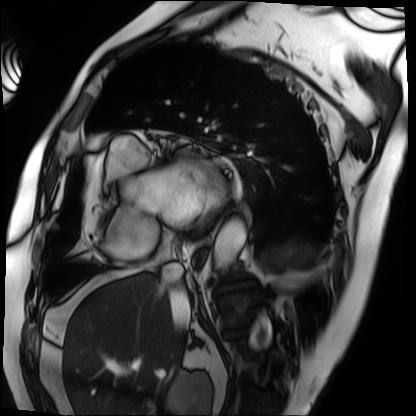
Cardiac MRI.
Subject group: patient.